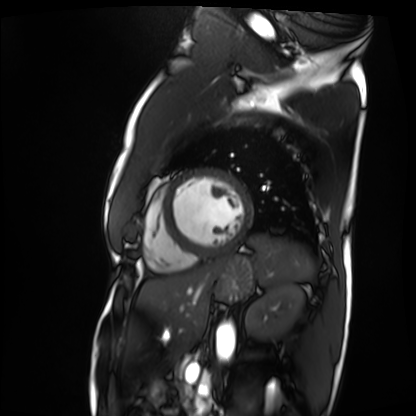
Cardiac MRI.
Subject group: patient.